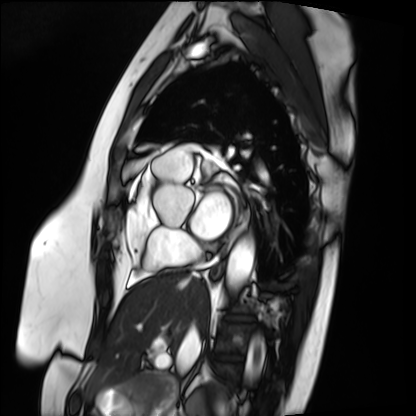
Cardiac MRI. Subject group: patient.